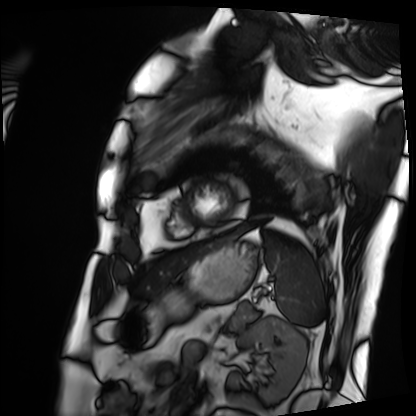
modality = cardiac MRI
subject group = patient